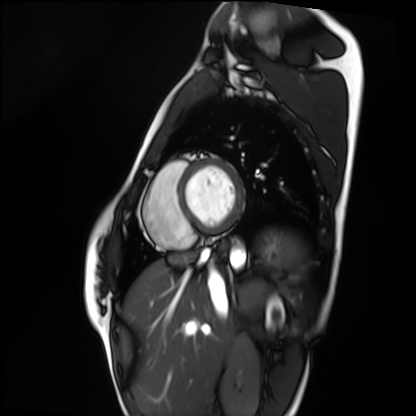
Cardiac MRI. Subject group: healthy volunteer.